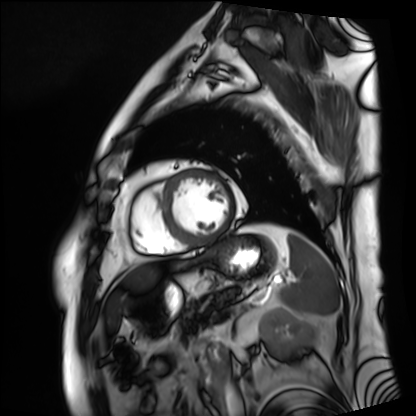
Cardiac MRI. Subject group: patient.